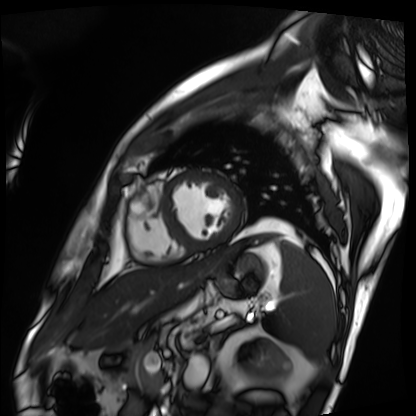
– modality: cardiac MRI
– subject group: patient